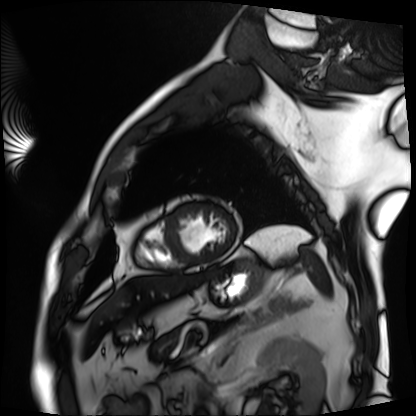
  modality: cardiac MRI
  cohort: patient